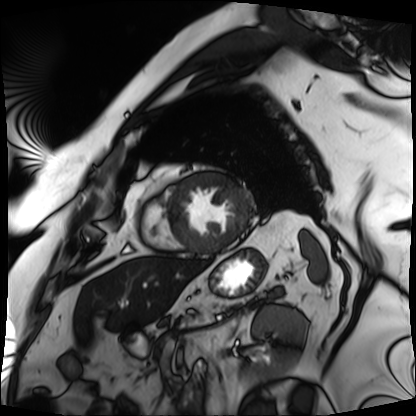
Cardiac MRI.
Subject group: patient.